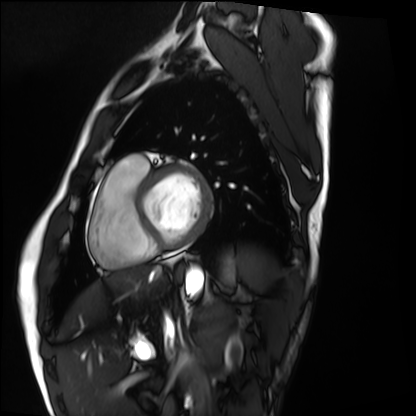
<scan>
  <modality>cardiac MRI</modality>
  <cohort>healthy volunteer</cohort>
</scan>